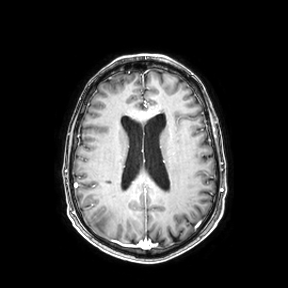
modality: 3 Tesla brain MRI; series: axial; study: ring-enhancing brain masses.